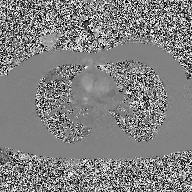
• modality · 2D phase-contrast cine MRI of the ascending aorta